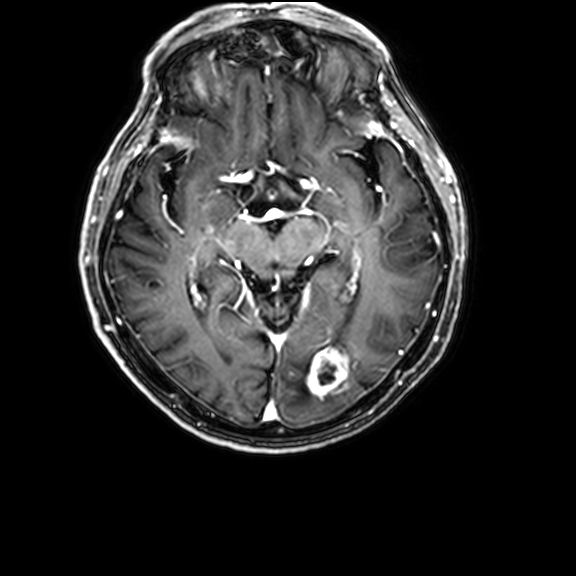
3 Tesla brain MRI. Series: 3D T1-weighted with CLEAR. Study: ring-enhancing brain masses.